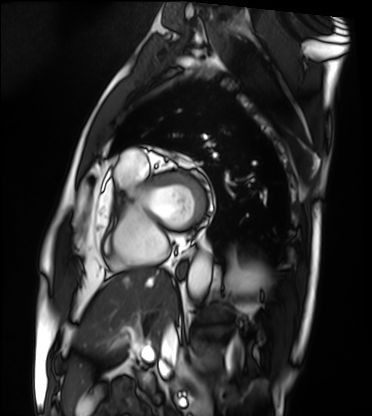
Cardiac MRI. Subject group: patient.